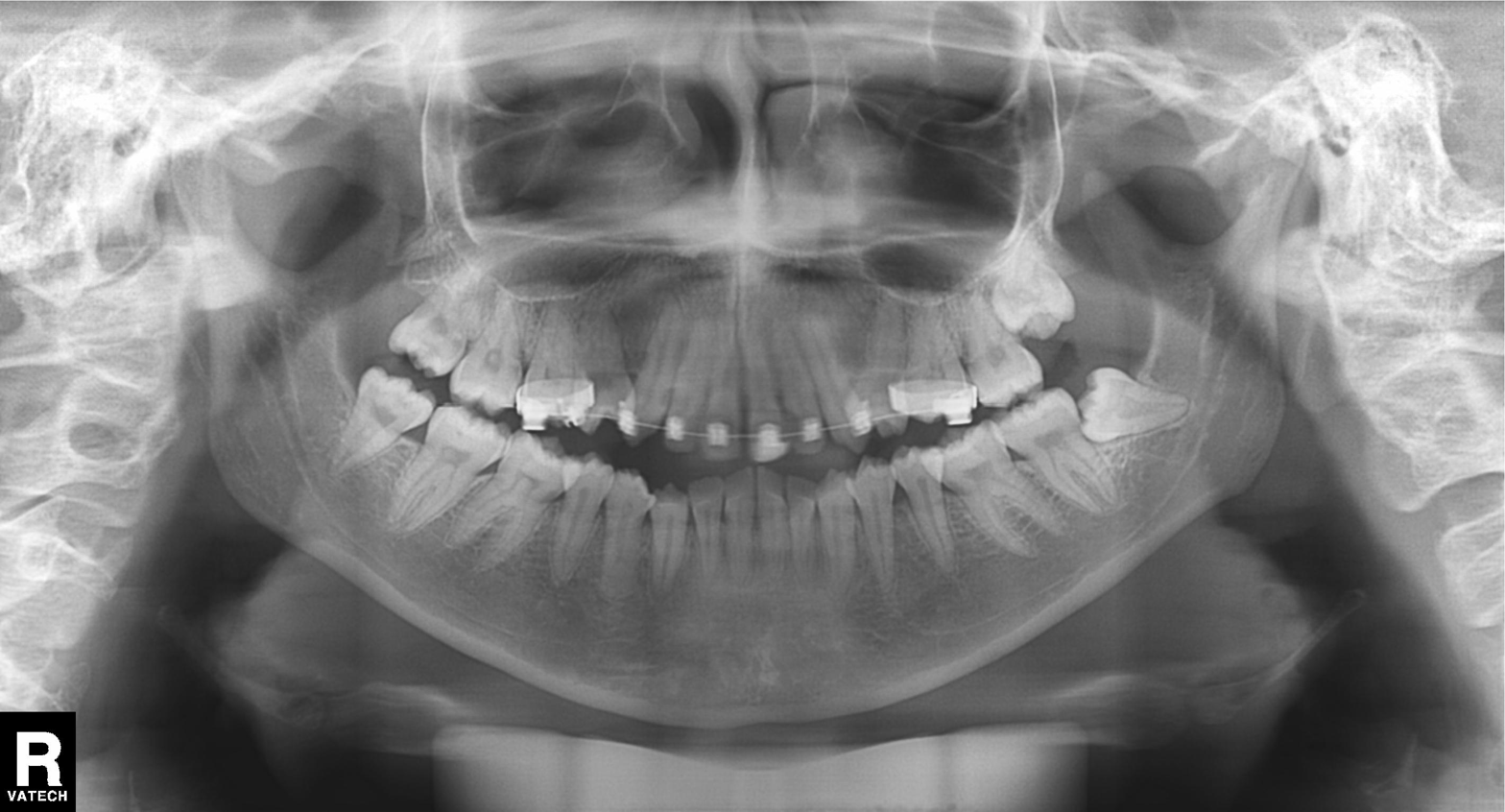
modality: panoramic dental radiograph (orthopantomogram); finding: dental caries (cavities).